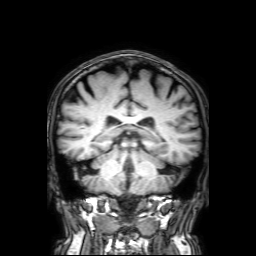
Case summary: 3 Tesla brain MRI. Series: 3D T1-weighted with SENSE. Study: ring-enhancing brain masses.